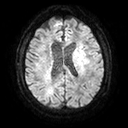
3 Tesla brain MRI. Series: diffusion tensor imaging (medium iso). Study: ring-enhancing brain masses.